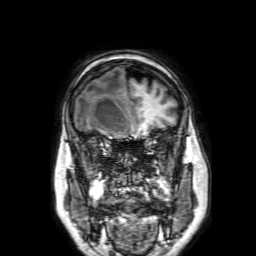
modality=3 Tesla brain MRI; study=ring-enhancing brain masses.